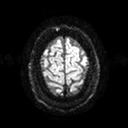
Summary:
3 Tesla brain MRI. Series: diffusion tensor imaging (medium iso). Study: ring-enhancing brain masses.